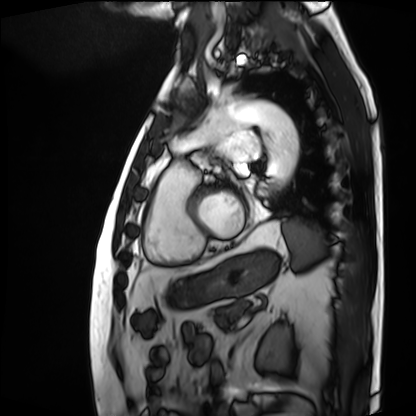
Clinical context:
Cardiac MRI. Subject group: patient.